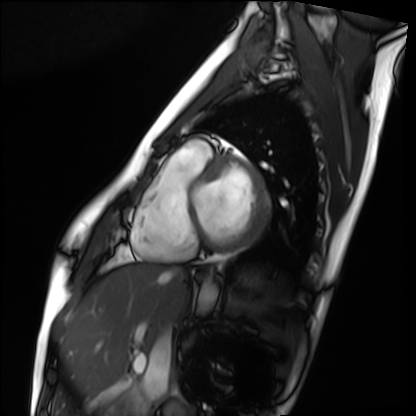
Q: What kind of scan is this?
A: Cardiac MRI.
Subject group: healthy volunteer.